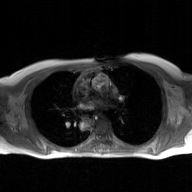
  modality:
    type: 2D phase-contrast cine MRI
    region: ascending aorta
    reconstruction: GAN super-resolution reconstruction